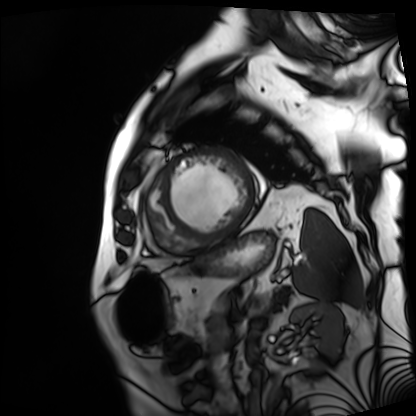
Cardiac MRI. Subject group: patient.